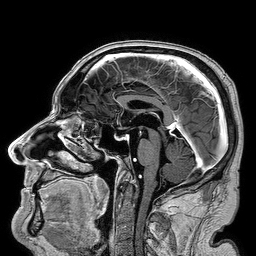
3 Tesla brain MRI. Series: 3D T1-weighted turbo field echo. Study: ring-enhancing brain masses.